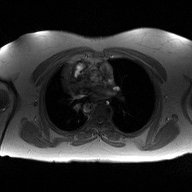
Summary:
2D phase-contrast cine MRI of the ascending aorta, high-resolution GRAPPA acquisition.